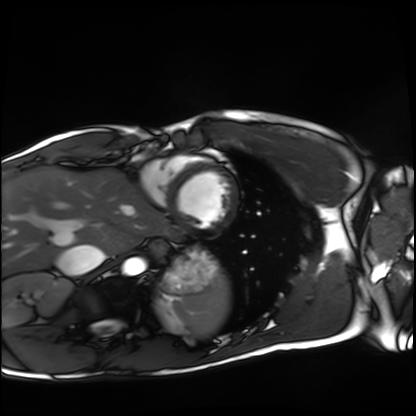
Cardiac MRI. Subject group: healthy volunteer.